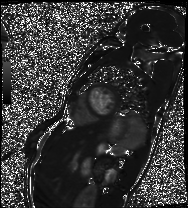
| field | value |
|---|---|
| modality | cardiac MRI |
| subject group | patient |